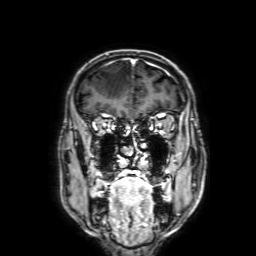
3 Tesla brain MRI. Series: 3D T1-weighted with SENSE. Study: ring-enhancing brain masses.